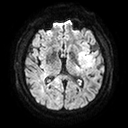
3 Tesla brain MRI. Series: diffusion tensor imaging (medium iso). Study: ring-enhancing brain masses.